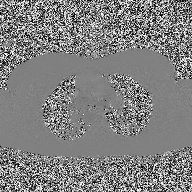
• modality: 2D phase-contrast cine MRI of the ascending aorta